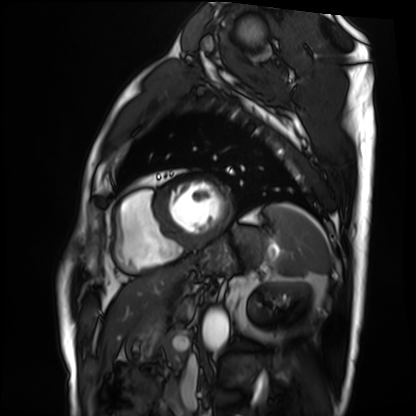
Cardiac MRI. Subject group: patient.